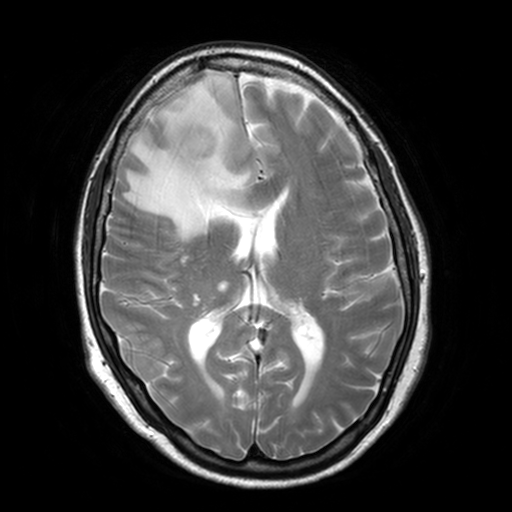
3 Tesla brain MRI.
Series: T2-weighted turbo spin echo, 3 mm.
Study: ring-enhancing brain masses.